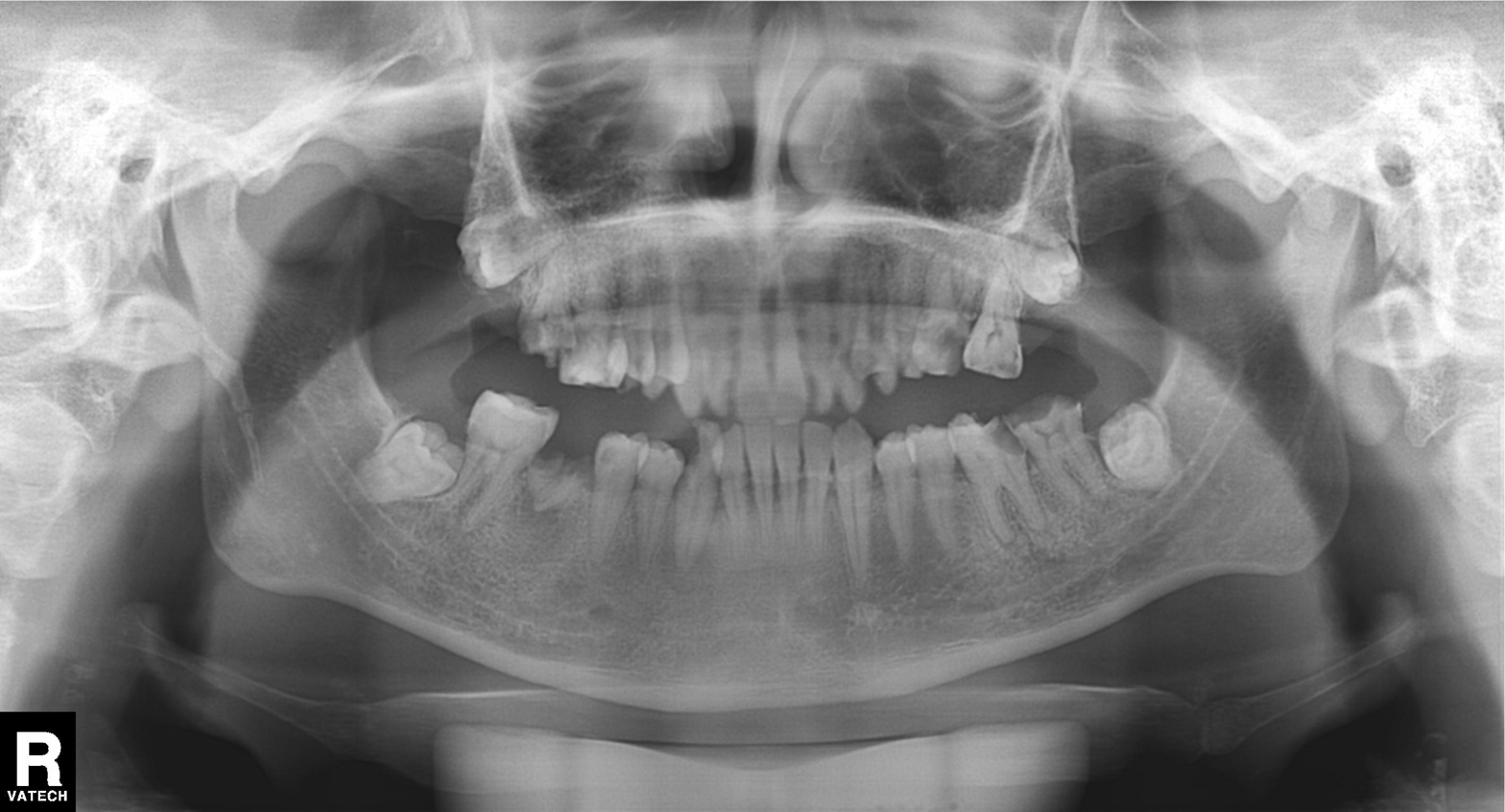
Panoramic dental radiograph (orthopantomogram).
Finding: alveolar bone loss.